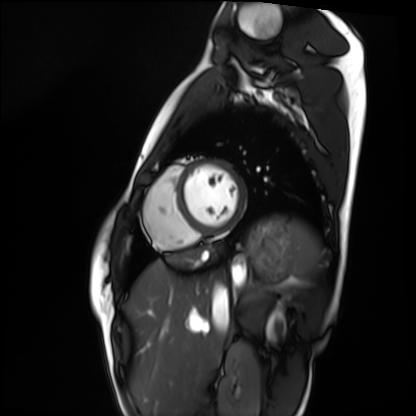
<case>
<modality>cardiac MRI</modality>
<cohort>healthy volunteer</cohort>
</case>